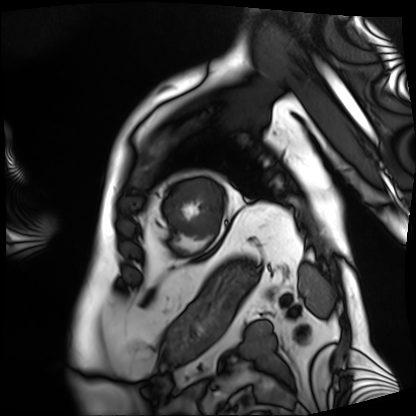
modality: cardiac MRI | subject group: patient.